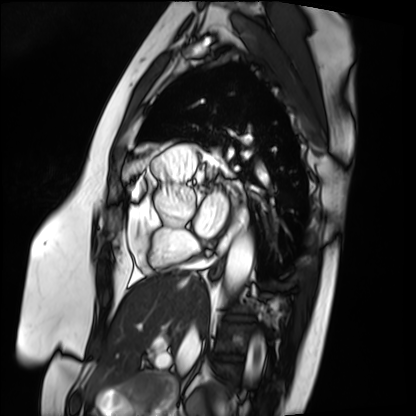
Cardiac MRI. Subject group: patient.